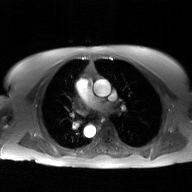
Q: What kind of scan is this?
A: 2D phase-contrast cine MRI of the ascending aorta, GAN super-resolution reconstruction.